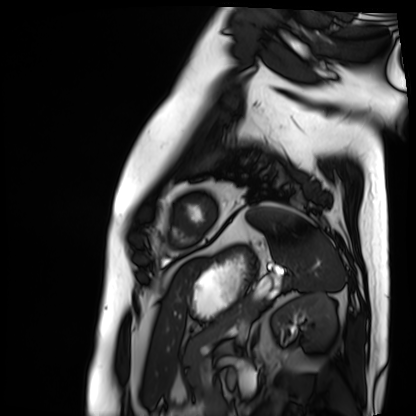
modality=cardiac MRI
subject group=patient